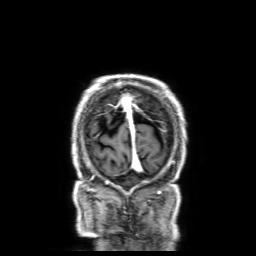
3 Tesla brain MRI.
Series: 3D T1-weighted with SENSE.
Study: ring-enhancing brain masses.